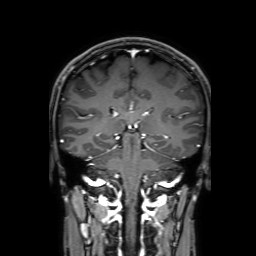
modality = 3 Tesla brain MRI | series = 3D T1-weighted with SENSE | study = ring-enhancing brain masses.